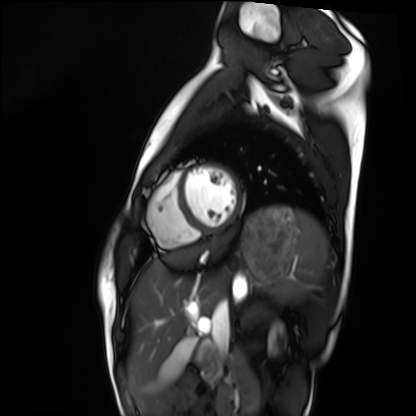
Cardiac MRI. Subject group: healthy volunteer.